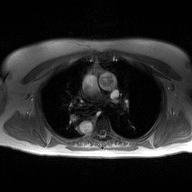
– modality: 2D phase-contrast cine MRI of the ascending aorta